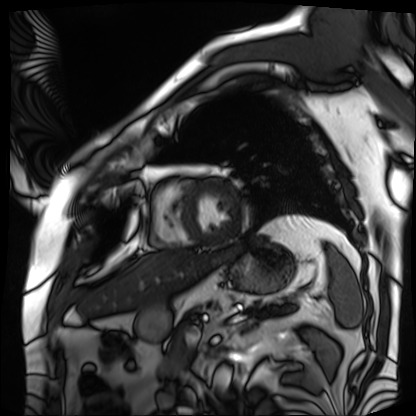
| field | value |
|---|---|
| modality | cardiac MRI |
| subject group | patient |